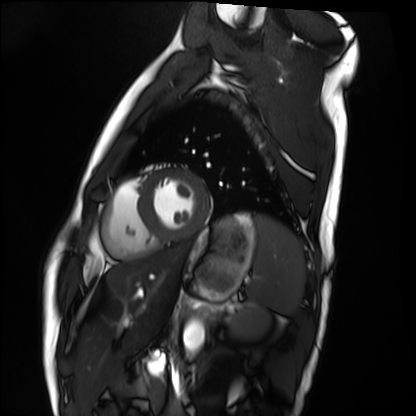
modality: cardiac MRI
subject group: healthy volunteer